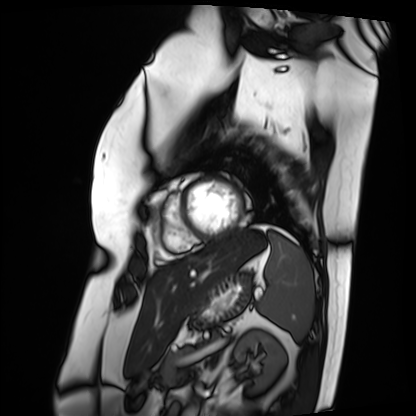
| field | value |
|---|---|
| modality | cardiac MRI |
| subject group | patient |